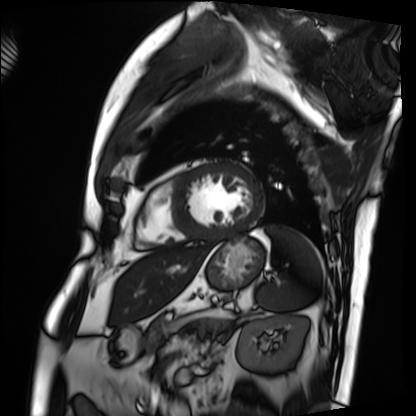
Q: What kind of scan is this?
A: Cardiac MRI.
Subject group: patient.